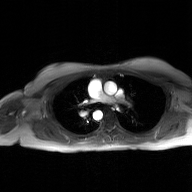
• modality · 2D phase-contrast cine MRI of the ascending aorta, GAN super-resolution reconstruction